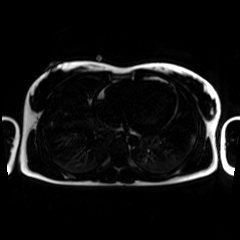
Chemical-shift-encoded cardiac MRI.